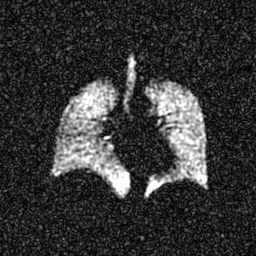
Hyperpolarized 129Xe ventilation MRI of the lungs. SNR level 6 of 8 (the deposit holds this scan as its native image and as seven SNR-degraded versions).